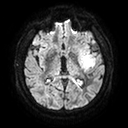
Summary: 3 Tesla brain MRI. Series: diffusion tensor imaging (medium iso). Study: ring-enhancing brain masses.